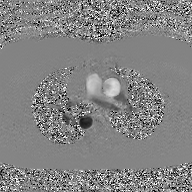
modality = 2D phase-contrast cine MRI of the ascending aorta, GAN super-resolution reconstruction.